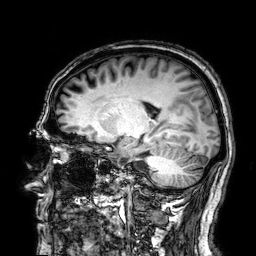
Q: What kind of scan is this?
A: 3 Tesla brain MRI.
Q: Series?
A: 3D T1-weighted.
Study: ring-enhancing brain masses.